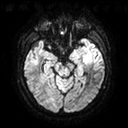
{
  "modality": {
    "type": "brain MRI",
    "field_strength": "3T"
  },
  "series": "diffusion tensor imaging (medium iso)",
  "study_topic": "ring-enhancing brain masses"
}